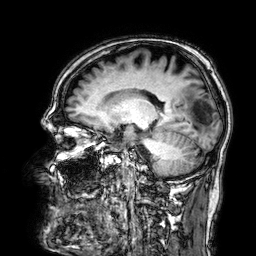
modality: 3 Tesla brain MRI; series: 3D T1-weighted; study: ring-enhancing brain masses.